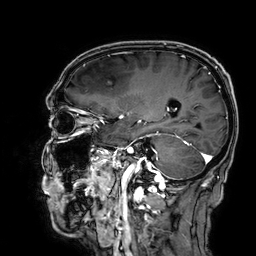
3 Tesla brain MRI.
Series: 3D T1-weighted.
Study: ring-enhancing brain masses.